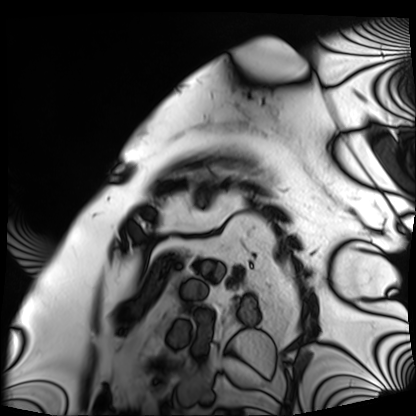
• modality — cardiac MRI
• subject group — patient